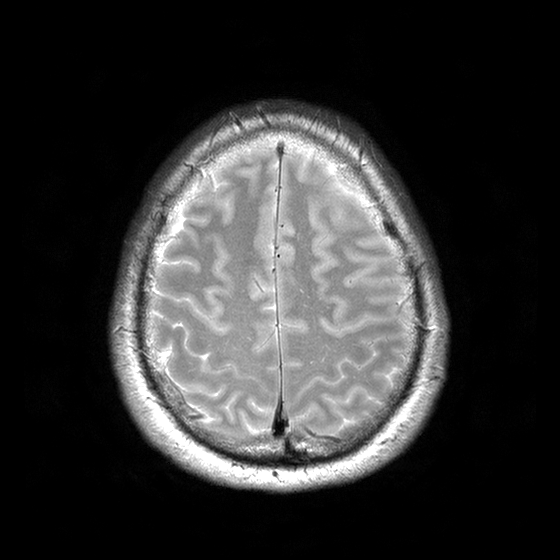
modality: 3 Tesla brain MRI; series: T2-weighted turbo spin echo with CLEAR; study: ring-enhancing brain masses.